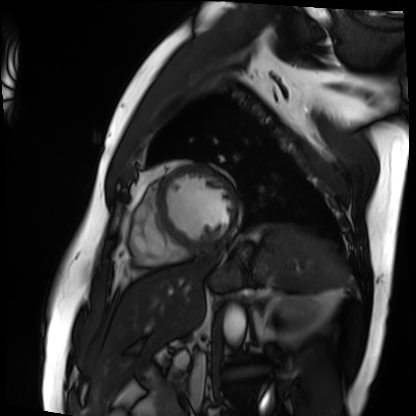
Cardiac MRI.
Subject group: patient.